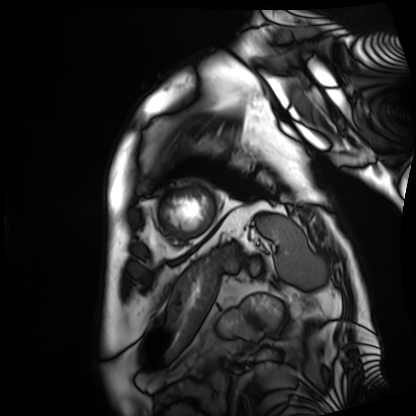
Cardiac MRI. Subject group: patient.